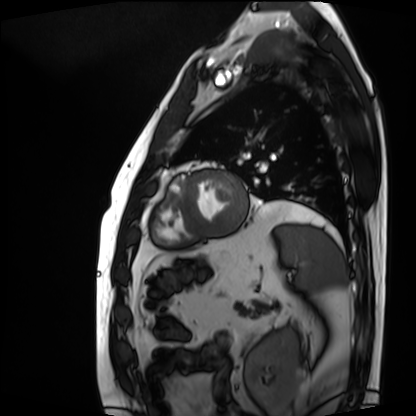
• modality: cardiac MRI
• subject group: patient